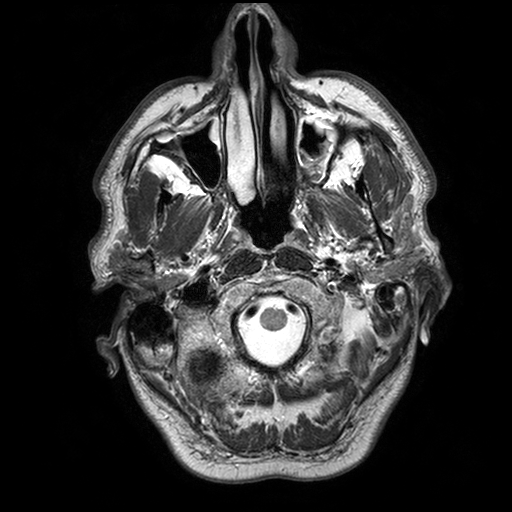
modality: 3 Tesla brain MRI; series: T2-weighted turbo spin echo with SENSE; study: ring-enhancing brain masses.